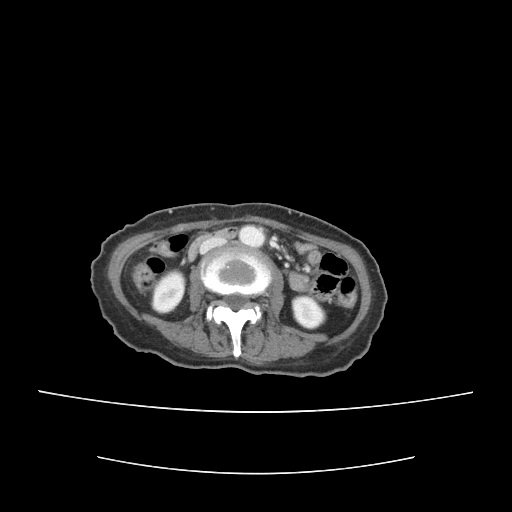
Case summary:
Multiphase abdominal CT, liver, portal venous phase. Patient: female, age 55.